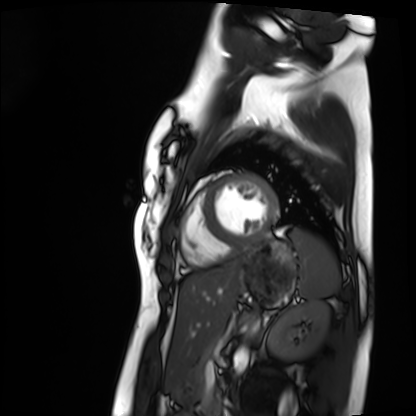
modality — cardiac MRI
subject group — healthy volunteer